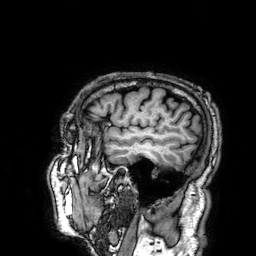
3 Tesla brain MRI.
Series: 3D T1-weighted.
Study: ring-enhancing brain masses.